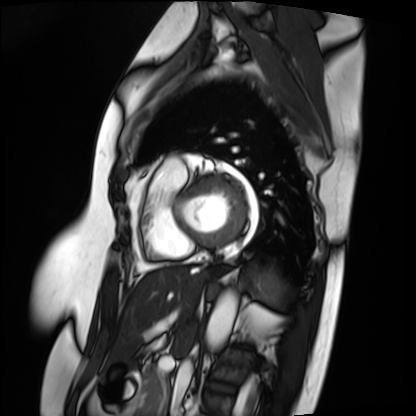
| field | value |
|---|---|
| modality | cardiac MRI |
| subject group | patient |